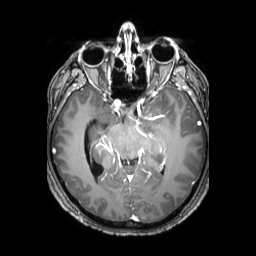
{
  "modality": {
    "type": "brain MRI",
    "field_strength": "3T"
  },
  "series": "3D T1-weighted TFE with SENSE",
  "study_topic": "ring-enhancing brain masses"
}